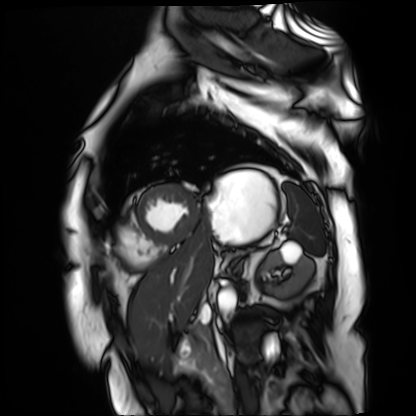
* modality: cardiac MR image of the myocardium
* subject cohort: cardiac patient